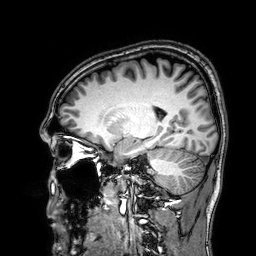
{"modality": {"type": "brain MRI", "field_strength": "3T"}, "study_topic": "ring-enhancing brain masses"}